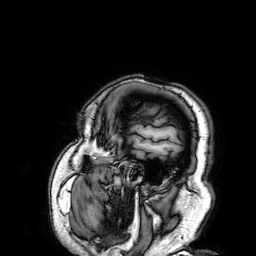
3 Tesla brain MRI. Series: 3D T1-weighted. Study: ring-enhancing brain masses.